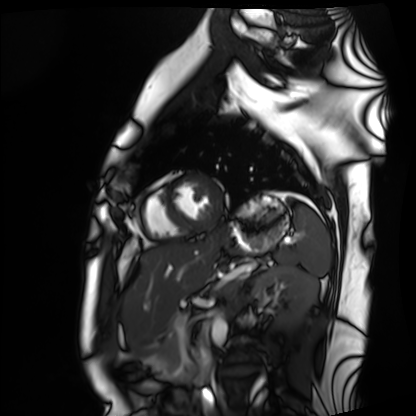
| field | value |
|---|---|
| modality | cardiac MRI |
| subject group | healthy volunteer |